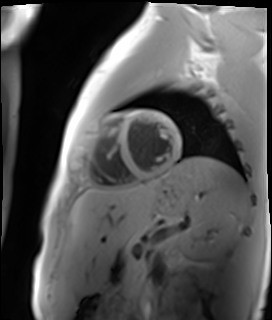
modality: cardiac MR image of the myocardium, subject cohort: healthy volunteer.